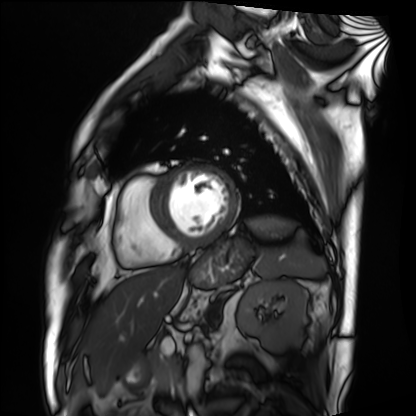
Cardiac MRI. Subject group: patient.